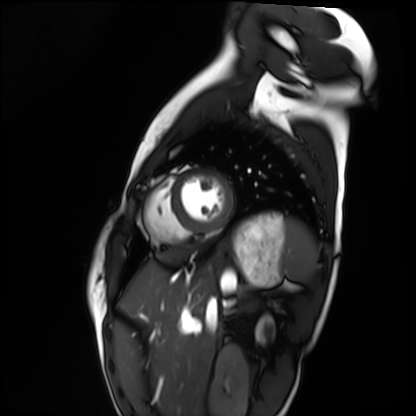
modality = cardiac MRI
subject group = healthy volunteer